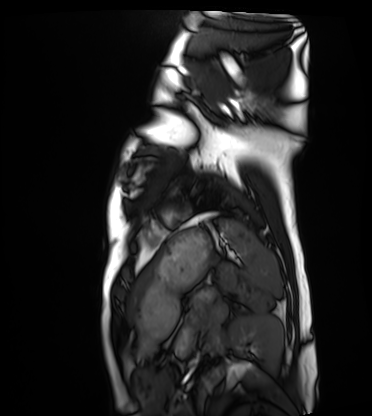
Cardiac MRI.
Subject group: healthy volunteer.